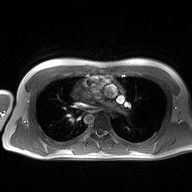
2D phase-contrast cine MRI of the ascending aorta, high-resolution GRAPPA acquisition.